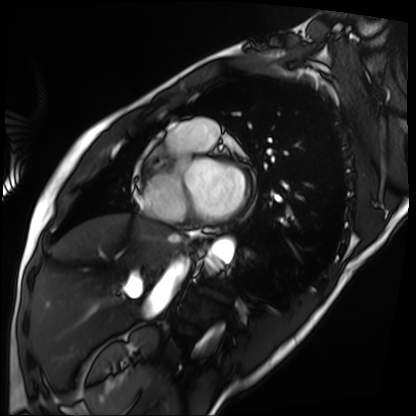
Cardiac MRI.
Subject group: patient.